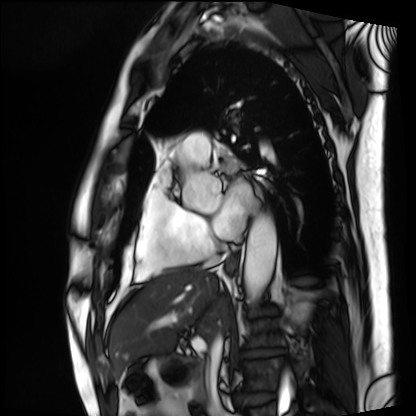
Cardiac MRI. Subject group: patient.